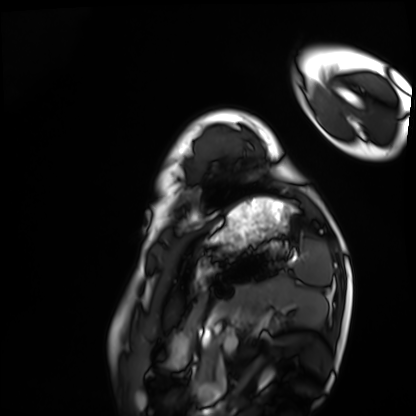
Cardiac MRI. Subject group: healthy volunteer.